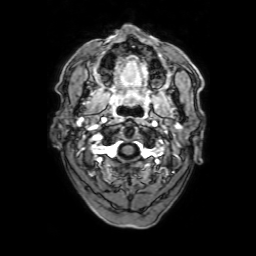
modality: 3 Tesla brain MRI | series: 3D T1-weighted with SENSE | study: ring-enhancing brain masses.